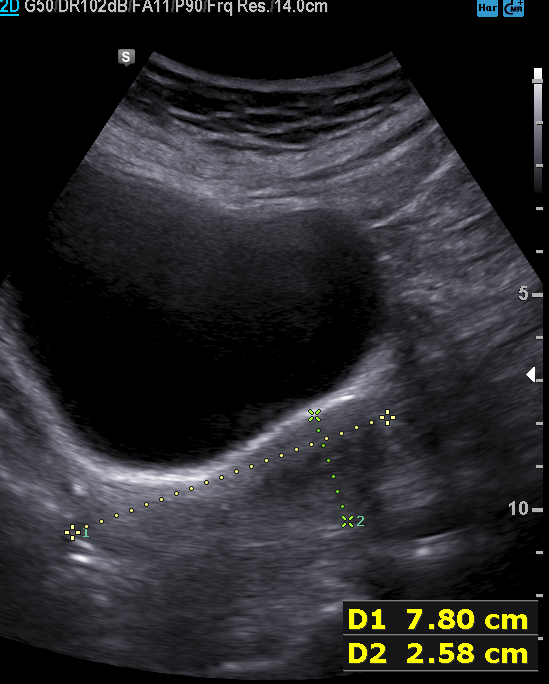
Q: What kind of scan is this?
A: Genitourinary ultrasound.